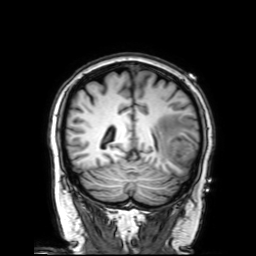
modality: 3 Tesla brain MRI | series: 3D T1-weighted with SENSE | study: ring-enhancing brain masses.